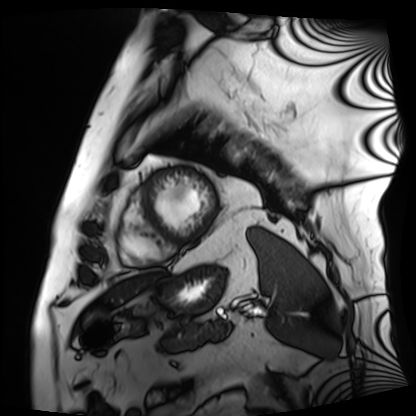
modality=cardiac MRI; subject group=patient.